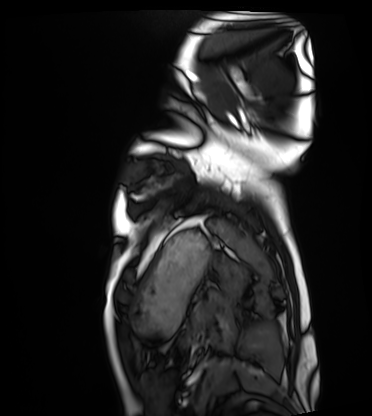
Cardiac MRI. Subject group: healthy volunteer.